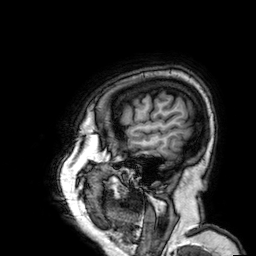
3 Tesla brain MRI.
Series: 3D T1-weighted.
Study: ring-enhancing brain masses.